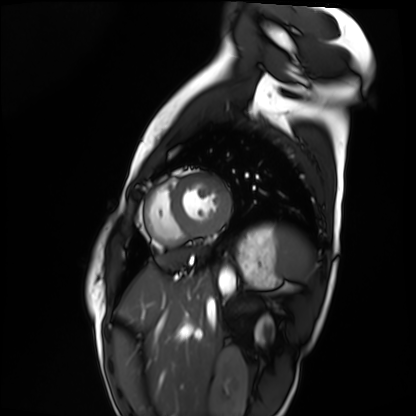
{"modality": "cardiac MRI", "cohort": "healthy volunteer"}